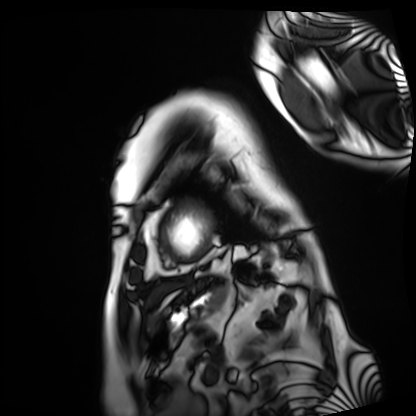
Q: What kind of scan is this?
A: Cardiac MRI.
Subject group: patient.